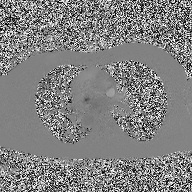
2D phase-contrast cine MRI of the ascending aorta, high-resolution GRAPPA acquisition.